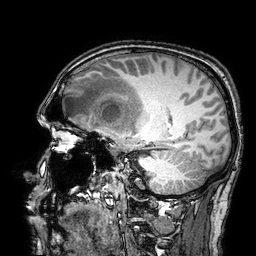
Q: What kind of scan is this?
A: 3 Tesla brain MRI.
Q: Series?
A: 3D T1-weighted turbo field echo with SENSE.
Study: ring-enhancing brain masses.